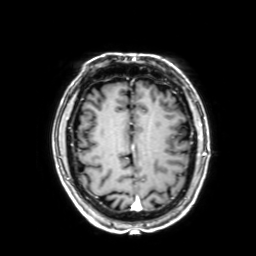
{"modality": {"type": "brain MRI", "field_strength": "3T"}, "series": "3D T1-weighted with SENSE", "study_topic": "ring-enhancing brain masses"}